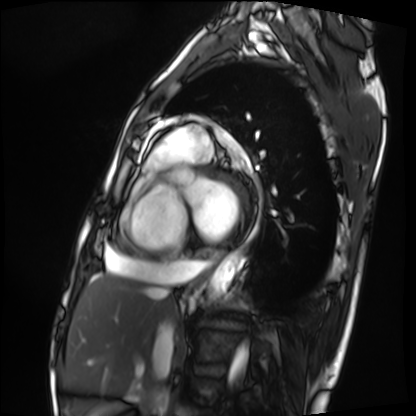
* modality · cardiac MRI
* subject group · patient